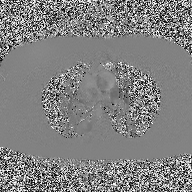
* modality: 2D phase-contrast cine MRI of the ascending aorta